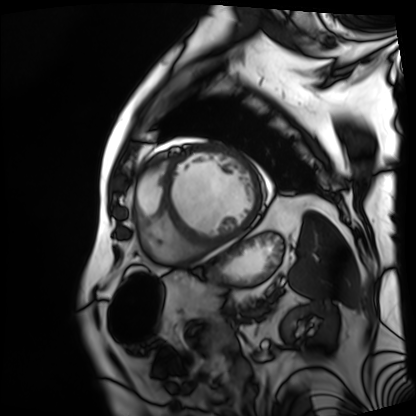
modality = cardiac MRI, subject group = patient.